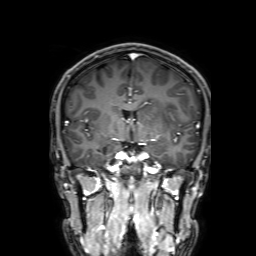
3 Tesla brain MRI.
Series: 3D T1-weighted with SENSE.
Study: ring-enhancing brain masses.